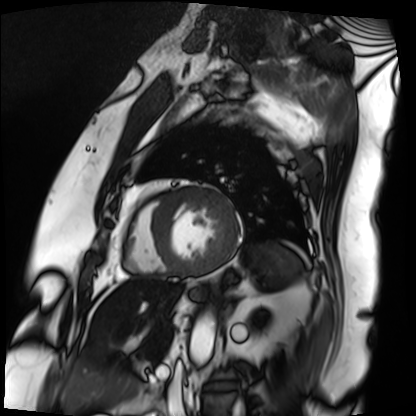
Q: What kind of scan is this?
A: Cardiac MRI.
Subject group: patient.